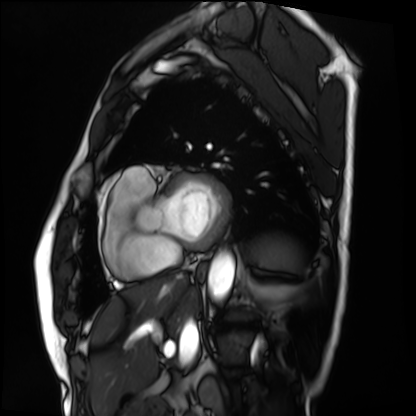
modality: cardiac MRI
cohort: patient